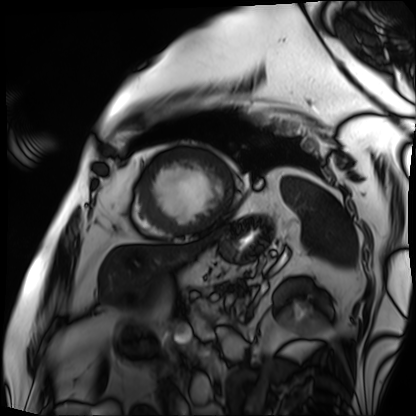
Case:
* modality: cardiac MRI
* subject group: patient